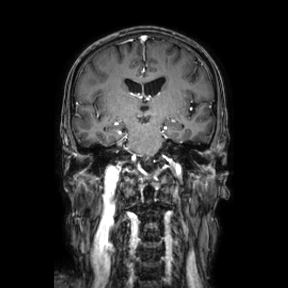
Q: What kind of scan is this?
A: 3 Tesla brain MRI.
Q: Series?
A: Coronal.
Study: ring-enhancing brain masses.